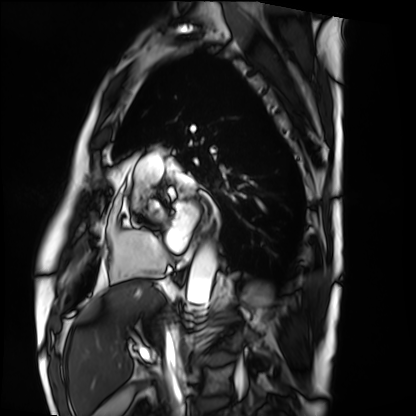
Clinical context:
Cardiac MRI. Subject group: patient.